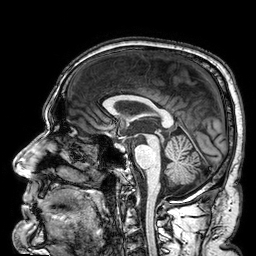
3 Tesla brain MRI. Study: ring-enhancing brain masses.